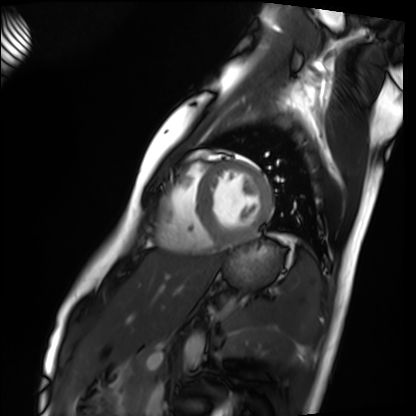
<study>
  <modality>cardiac MRI</modality>
  <cohort>healthy volunteer</cohort>
</study>